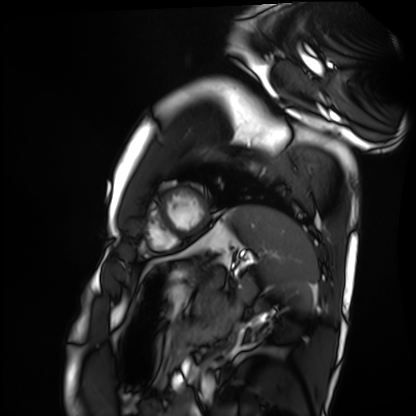
Summary:
Cardiac MRI. Subject group: healthy volunteer.